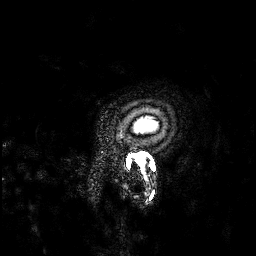
Q: What kind of scan is this?
A: 3 Tesla brain MRI.
Q: Series?
A: 3D T1-weighted.
Study: ring-enhancing brain masses.